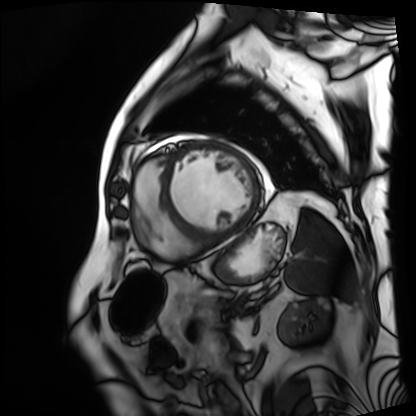
Summary: Cardiac MRI. Subject group: patient.